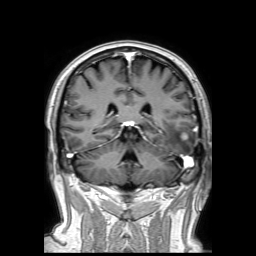
3 Tesla brain MRI. Series: 3D T1-weighted TFE with SENSE. Study: ring-enhancing brain masses.